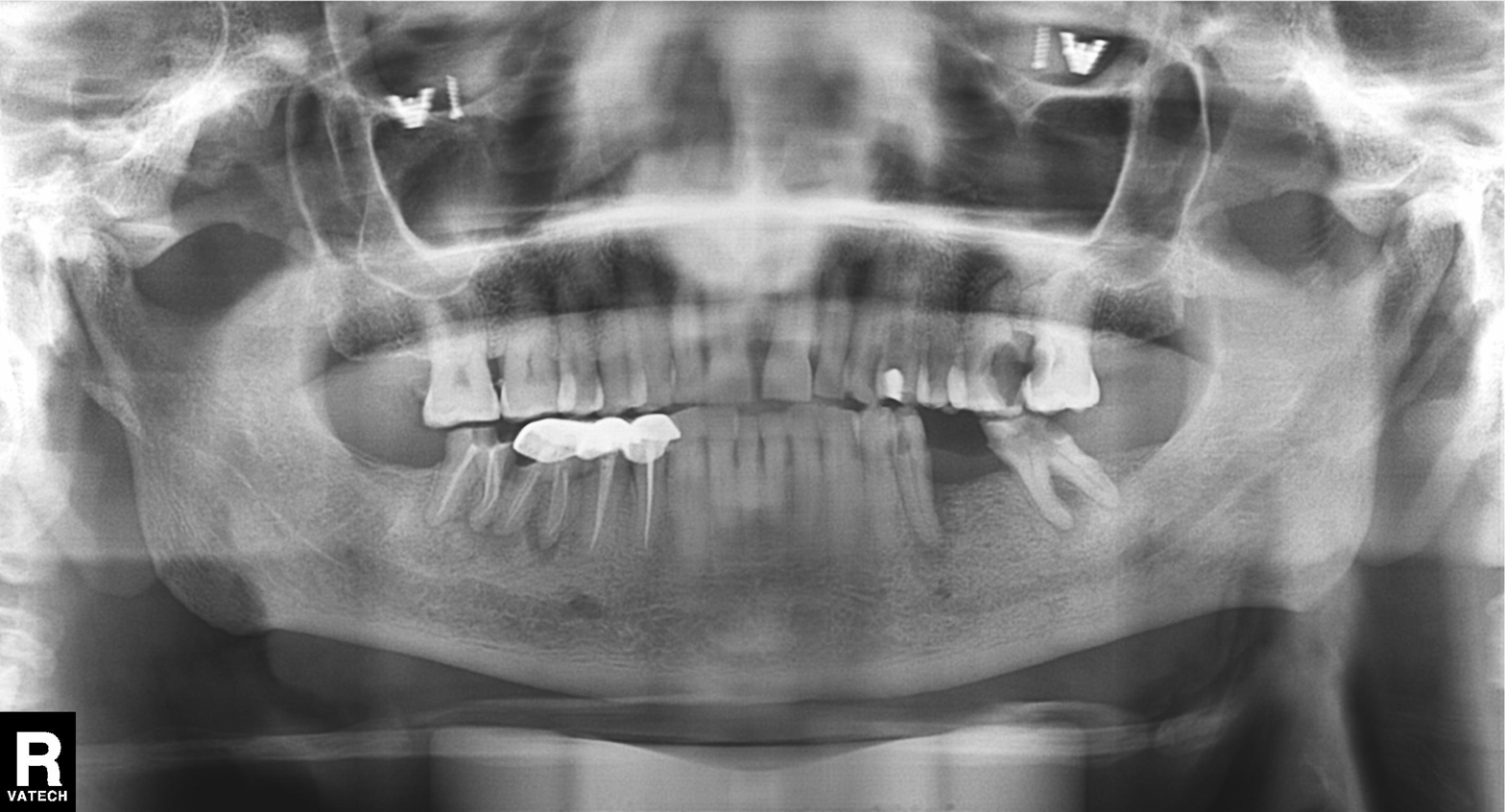
Panoramic dental radiograph (orthopantomogram). Finding: alveolar bone loss.